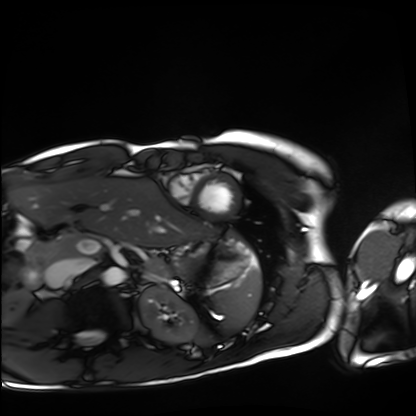
modality: cardiac MRI, subject group: healthy volunteer.